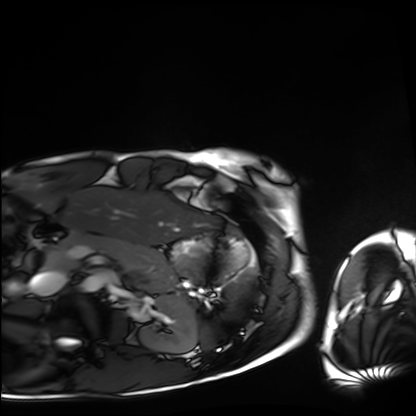
Cardiac MRI. Subject group: healthy volunteer.